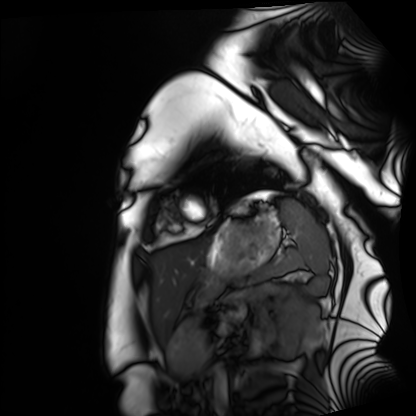
Cardiac MRI.
Subject group: healthy volunteer.